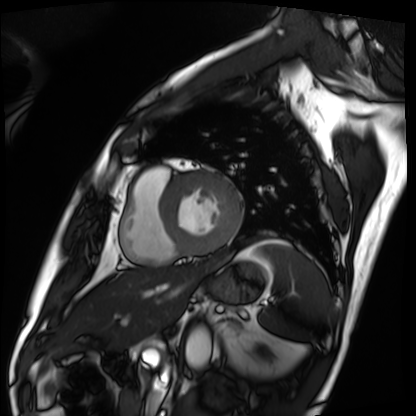
{"modality": "cardiac MRI", "cohort": "patient"}